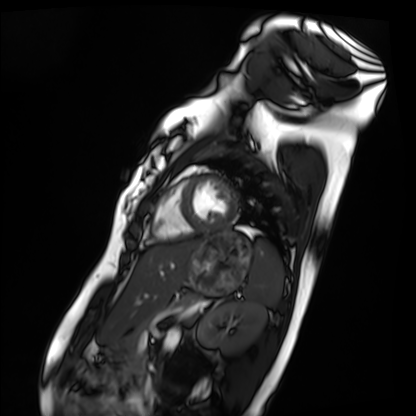
Cardiac MRI. Subject group: healthy volunteer.